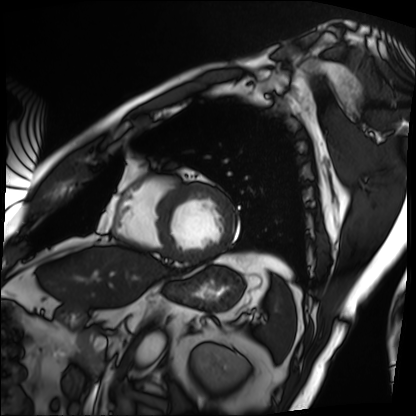
Cardiac MRI.
Subject group: patient.